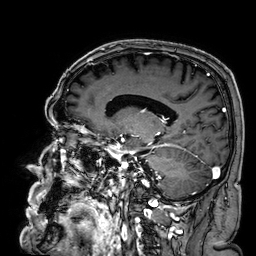
– modality · 3 Tesla brain MRI
– series · 3D T1-weighted
– study · ring-enhancing brain masses